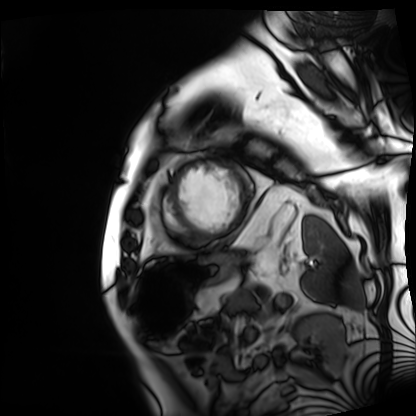
{
  "modality": "cardiac MRI",
  "cohort": "patient"
}